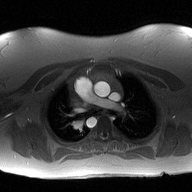
* modality — 2D phase-contrast cine MRI of the ascending aorta